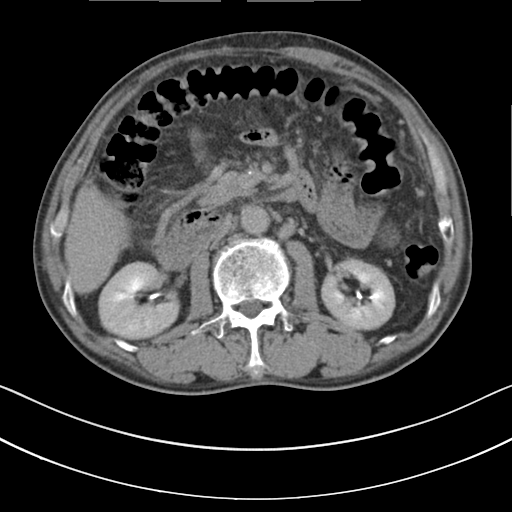
Multiphase abdominal CT, liver, delayed phase.